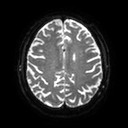
modality: 3 Tesla brain MRI
series: diffusion tensor imaging (medium iso)
study: ring-enhancing brain masses